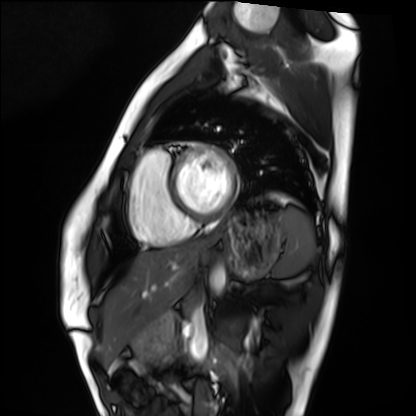
<study>
  <modality>cardiac MRI</modality>
  <cohort>healthy volunteer</cohort>
</study>